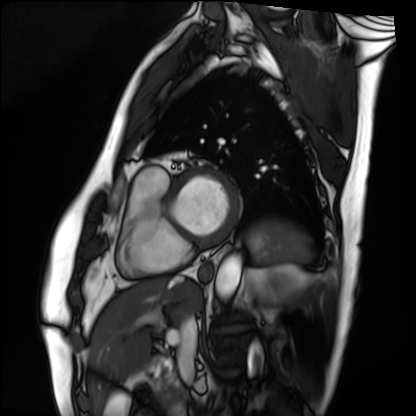
Cardiac MRI. Subject group: patient.